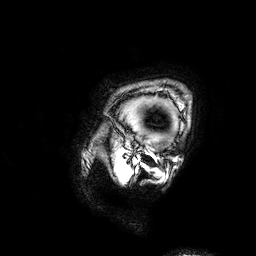
Summary:
3 Tesla brain MRI. Series: 3D T1-weighted. Study: ring-enhancing brain masses.